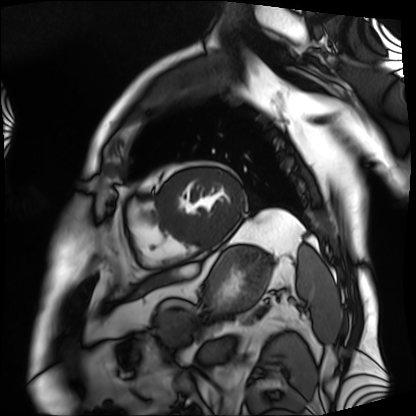
Clinical context: Cardiac MRI. Subject group: patient.